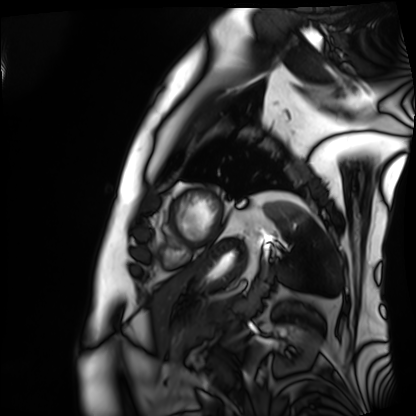
Summary:
Cardiac MRI. Subject group: patient.